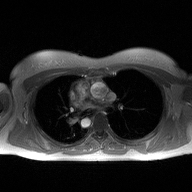
<study>
<modality>
  <type>2D phase-contrast cine MRI</type>
  <region>ascending aorta</region>
  <reconstruction>high-resolution GRAPPA acquisition</reconstruction>
</modality>
</study>